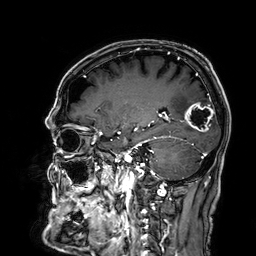
{"modality": {"type": "brain MRI", "field_strength": "3T"}, "series": "3D T1-weighted", "study_topic": "ring-enhancing brain masses"}